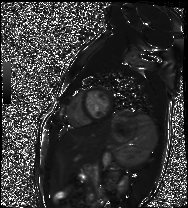
Q: What kind of scan is this?
A: Cardiac MR image of the myocardium.
Subject cohort: healthy volunteer.